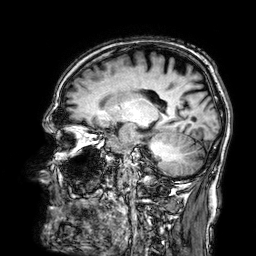
3 Tesla brain MRI. Series: 3D T1-weighted. Study: ring-enhancing brain masses.